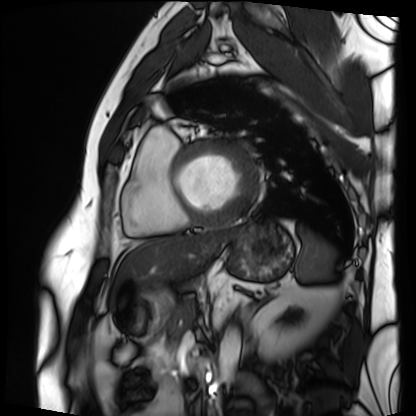
{
  "modality": "cardiac MRI",
  "cohort": "patient"
}